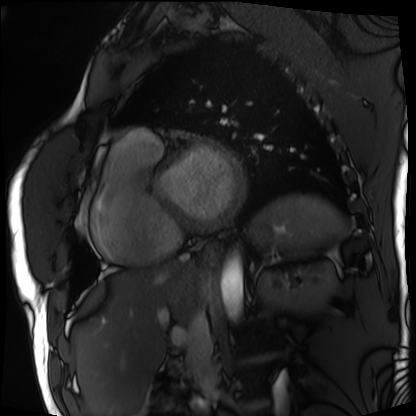
| field | value |
|---|---|
| modality | cardiac MRI |
| subject group | patient |